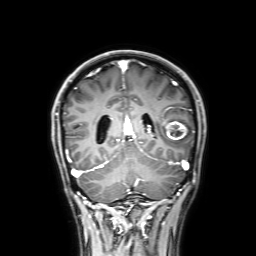
3 Tesla brain MRI. Series: 3D T1-weighted with SENSE. Study: ring-enhancing brain masses.